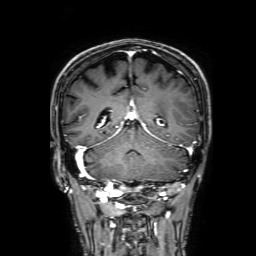
modality = 3 Tesla brain MRI | series = 3D T1-weighted with SENSE | study = ring-enhancing brain masses.